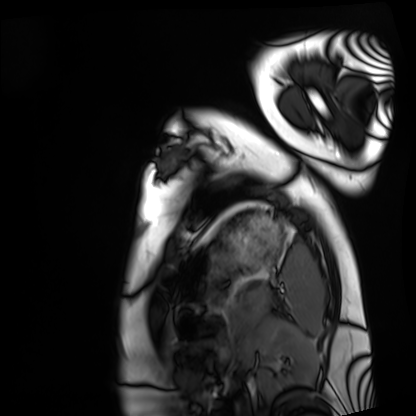
Summary: Cardiac MRI. Subject group: healthy volunteer.